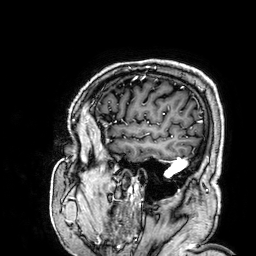
modality — 3 Tesla brain MRI | series — 3D T1-weighted | study — ring-enhancing brain masses.